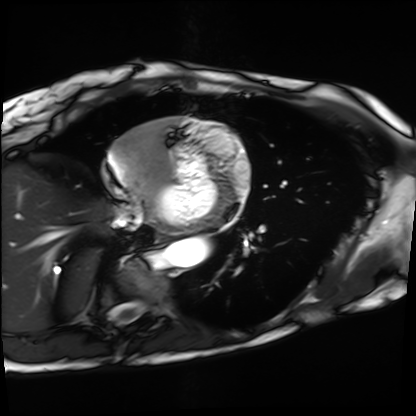
Clinical context: Cardiac MRI. Subject group: patient.